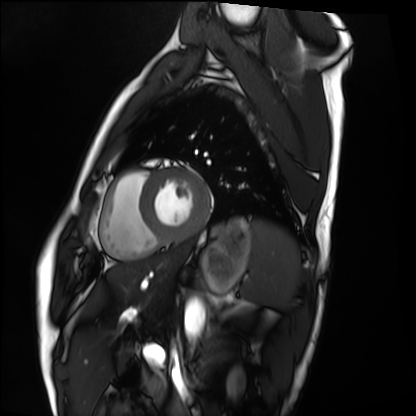
Cardiac MRI.
Subject group: healthy volunteer.